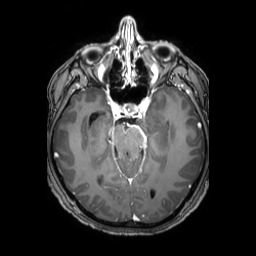
Case summary: 3 Tesla brain MRI. Series: 3D T1-weighted TFE with SENSE. Study: ring-enhancing brain masses.